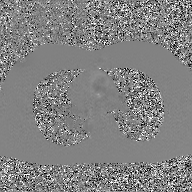
<record>
<modality>
  <type>2D phase-contrast cine MRI</type>
  <region>ascending aorta</region>
  <reconstruction>GAN super-resolution reconstruction</reconstruction>
</modality>
</record>